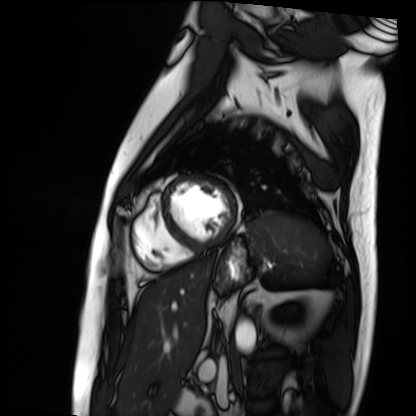
Cardiac MRI. Subject group: patient.